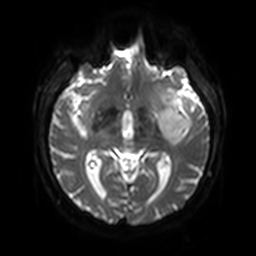
<scan>
<modality>
  <type>brain MRI</type>
  <field_strength>3T</field_strength>
</modality>
<series>diffusion-weighted imaging with SENSE (WIP)</series>
<study_topic>ring-enhancing brain masses</study_topic>
</scan>